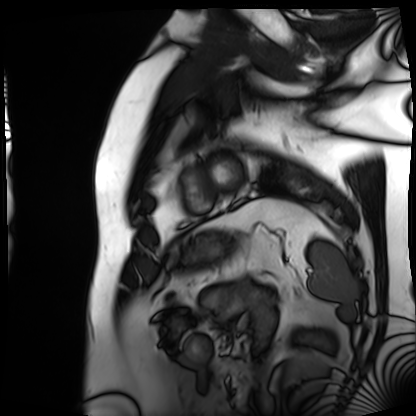
Summary:
Cardiac MRI. Subject group: patient.